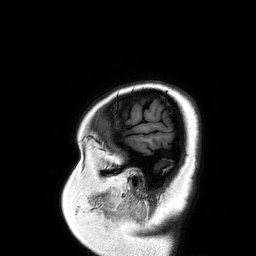
Summary:
3 Tesla brain MRI. Study: ring-enhancing brain masses.